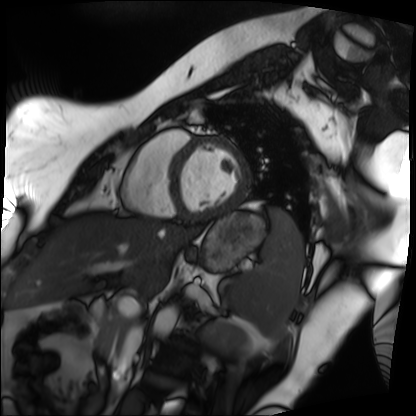
Clinical context: Cardiac MRI. Subject group: patient.